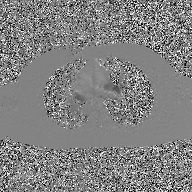
Clinical context:
2D phase-contrast cine MRI of the ascending aorta, GAN super-resolution reconstruction.